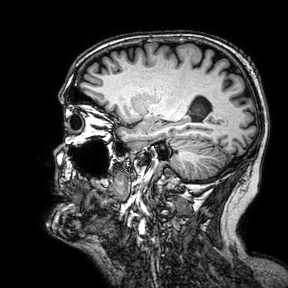
3 Tesla brain MRI. Series: 3D T1-weighted turbo field echo with SENSE. Study: ring-enhancing brain masses.